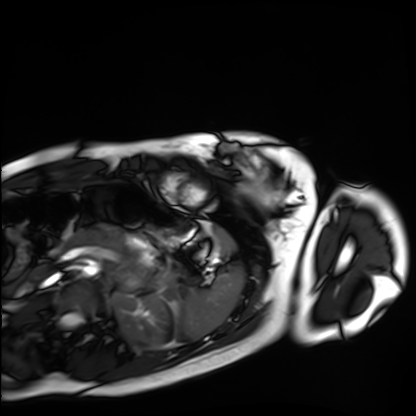
{"modality": "cardiac MRI", "cohort": "healthy volunteer"}